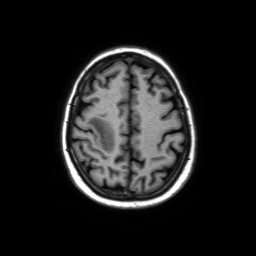
modality=3 Tesla brain MRI
series=axial without contrast
study=ring-enhancing brain masses